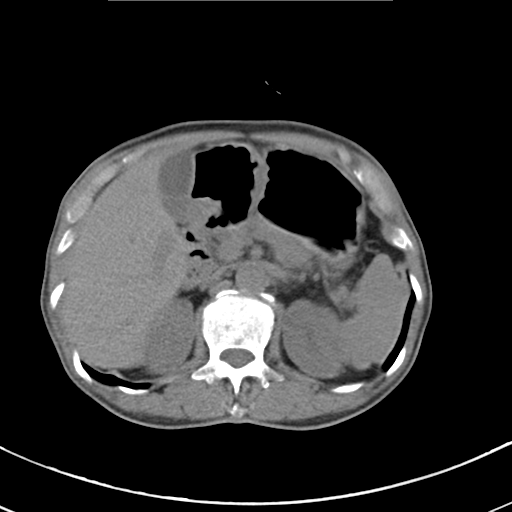
Summary: Multiphase abdominal CT, liver, non-contrast phase. Patient: male, age 68.